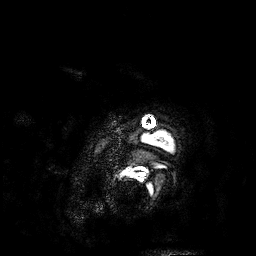
Case summary:
3 Tesla brain MRI. Series: 3D T1-weighted. Study: ring-enhancing brain masses.